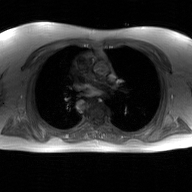
Q: What kind of scan is this?
A: 2D phase-contrast cine MRI of the ascending aorta, GAN super-resolution reconstruction.